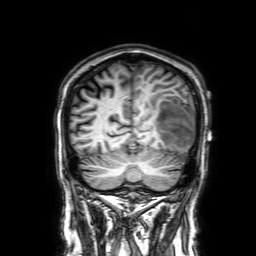
modality = 3 Tesla brain MRI | series = 3D T1-weighted with SENSE | study = ring-enhancing brain masses.